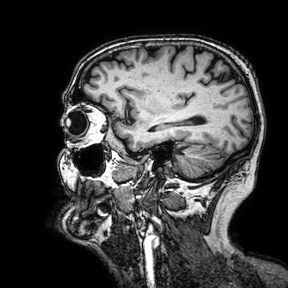
Summary:
3 Tesla brain MRI. Series: 3D T1-weighted turbo field echo with SENSE. Study: ring-enhancing brain masses.